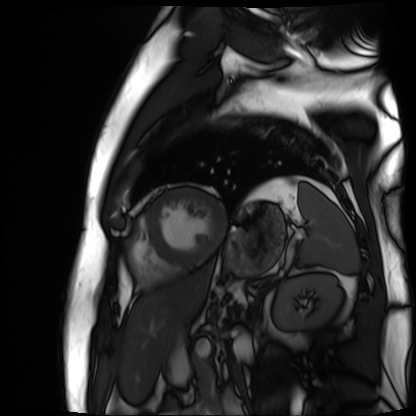
modality = cardiac MR image of the myocardium
subject cohort = cardiac patient